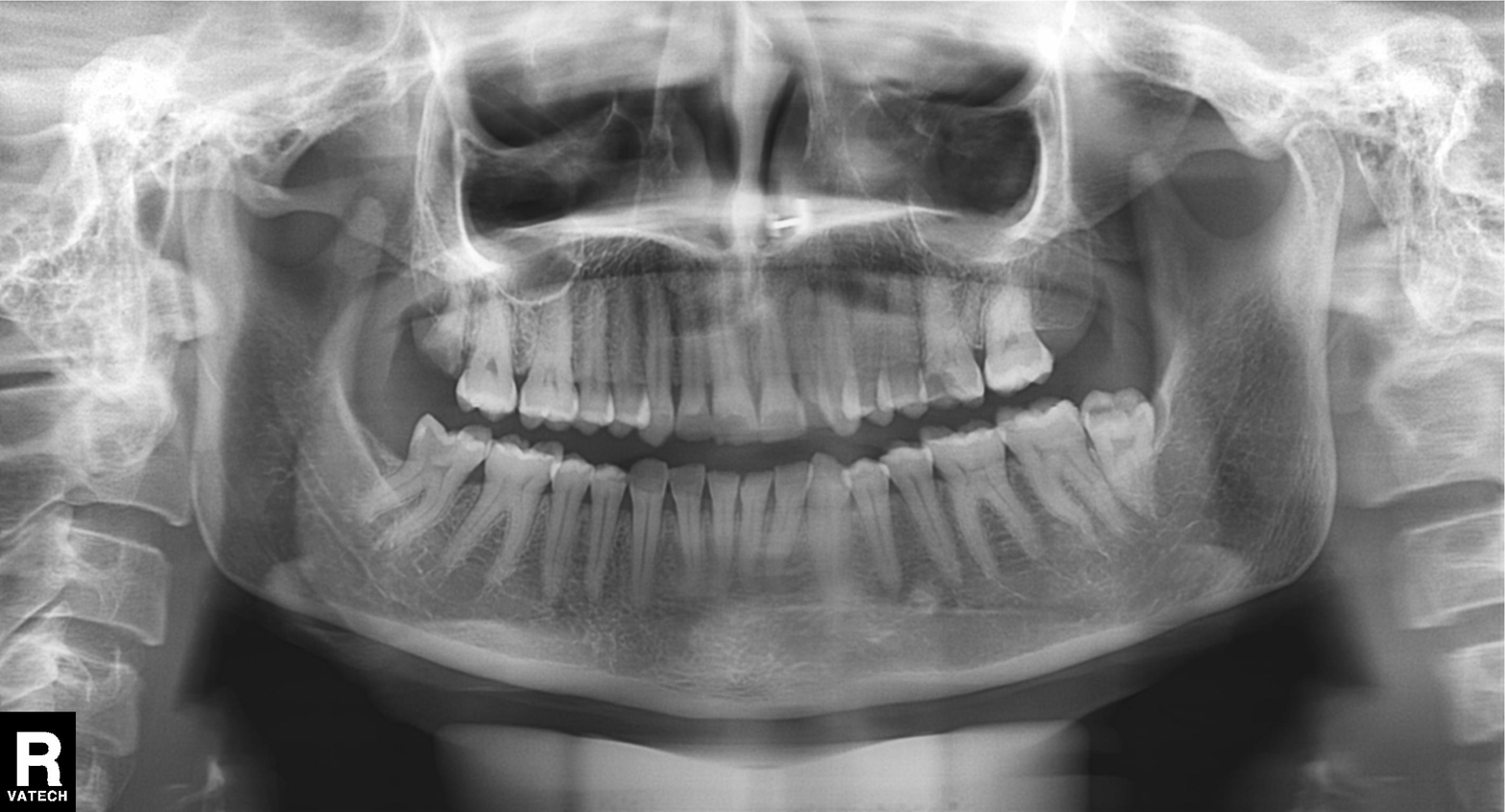
Panoramic dental radiograph (orthopantomogram).
Finding: alveolar bone loss.